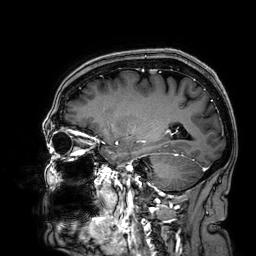
3 Tesla brain MRI. Series: 3D T1-weighted. Study: ring-enhancing brain masses.